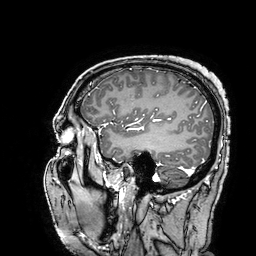
3 Tesla brain MRI.
Study: ring-enhancing brain masses.